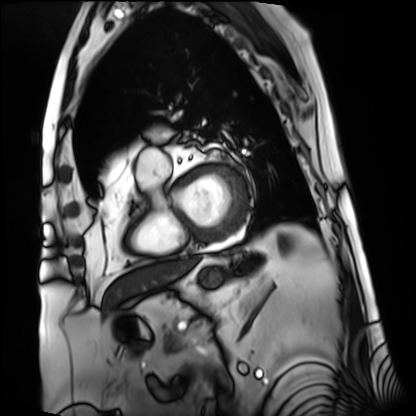
• modality — cardiac MRI
• subject group — patient